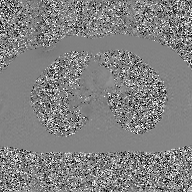
Summary:
2D phase-contrast cine MRI of the ascending aorta, GAN super-resolution reconstruction.